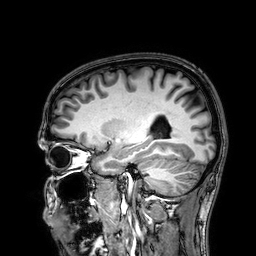
Clinical context: 3 Tesla brain MRI. Series: 3D T1-weighted. Study: ring-enhancing brain masses.